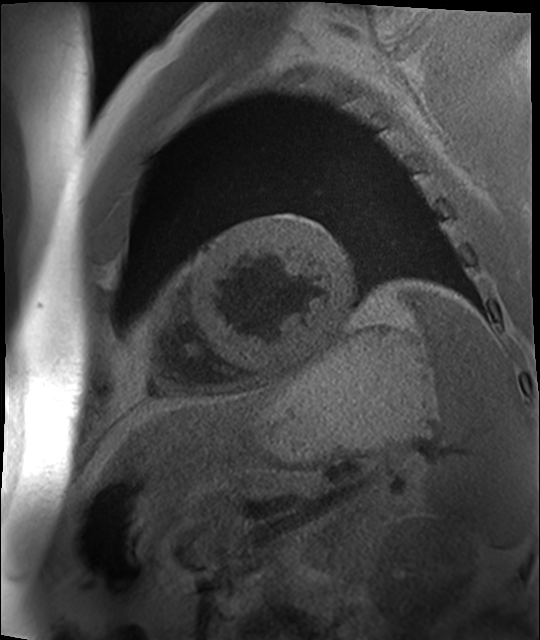
Cardiac MR image of the myocardium.
Subject cohort: cardiac patient.